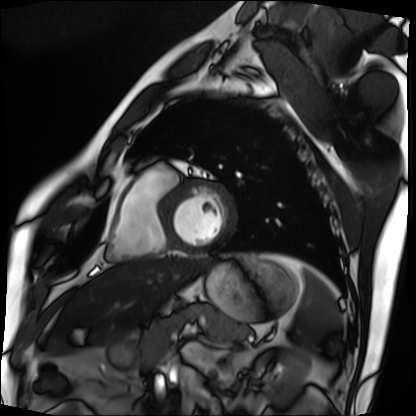
Cardiac MRI. Subject group: patient.